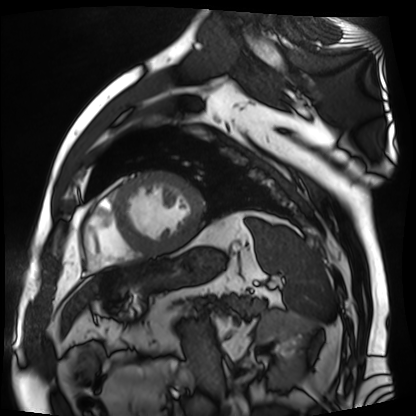
Summary:
Cardiac MR image of the myocardium. Subject cohort: cardiac patient.